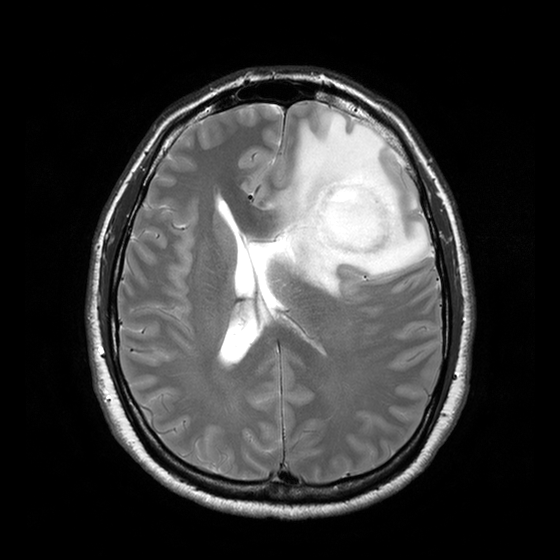
modality: 3 Tesla brain MRI | series: T2-weighted turbo spin echo with CLEAR | study: ring-enhancing brain masses.